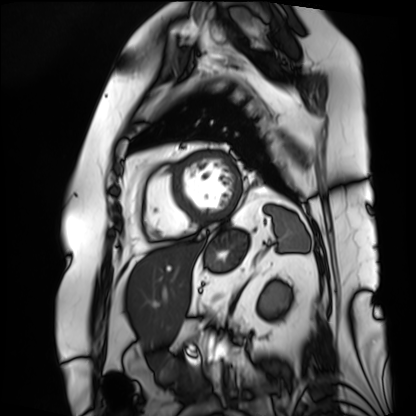
<scan>
  <modality>cardiac MRI</modality>
  <cohort>patient</cohort>
</scan>